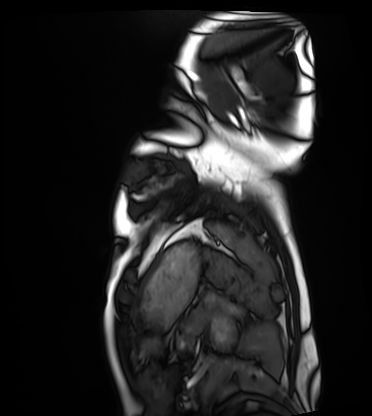
Case:
• modality · cardiac MRI
• subject group · healthy volunteer